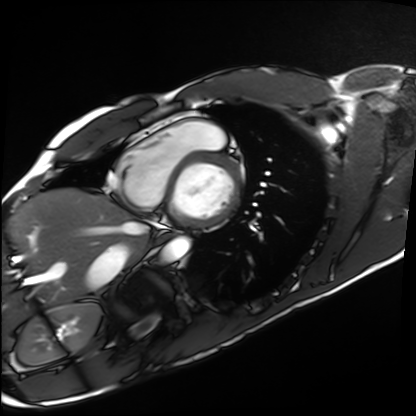
Cardiac MRI. Subject group: healthy volunteer.